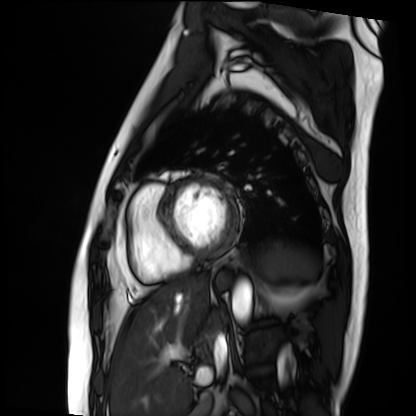
Q: What kind of scan is this?
A: Cardiac MRI.
Subject group: patient.